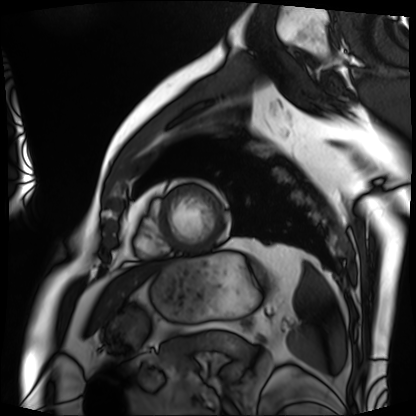
modality: cardiac MRI
cohort: patient